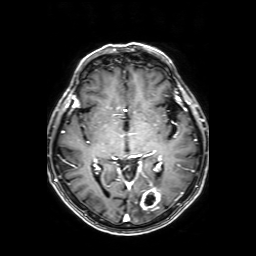
3 Tesla brain MRI.
Series: axial T1-weighted fusion image.
Study: ring-enhancing brain masses.